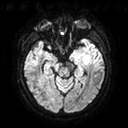
modality: 3 Tesla brain MRI
series: diffusion tensor imaging (medium iso)
study: ring-enhancing brain masses